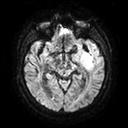
3 Tesla brain MRI.
Series: diffusion tensor imaging (medium iso).
Study: ring-enhancing brain masses.